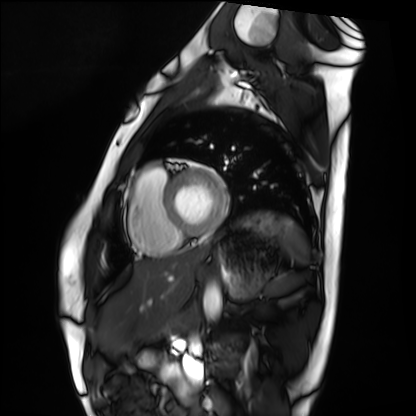
Q: What kind of scan is this?
A: Cardiac MRI.
Subject group: healthy volunteer.